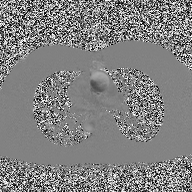
modality = 2D phase-contrast cine MRI of the ascending aorta